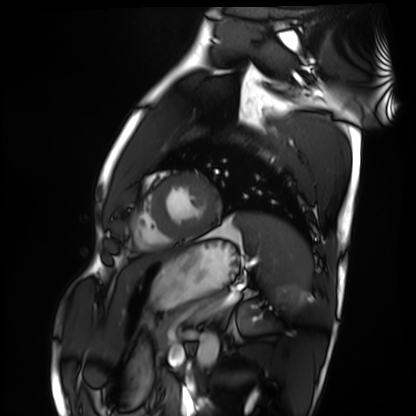
– modality — cardiac MRI
– subject group — healthy volunteer